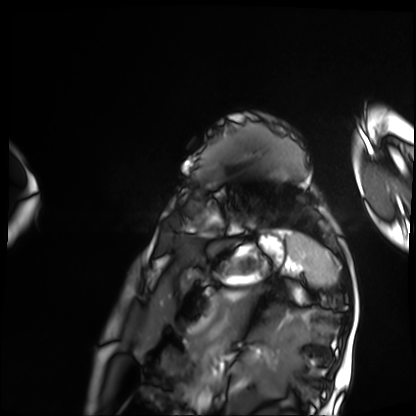
Cardiac MRI.
Subject group: patient.